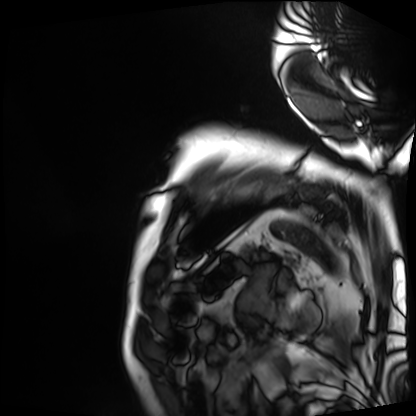
Cardiac MRI. Subject group: patient.